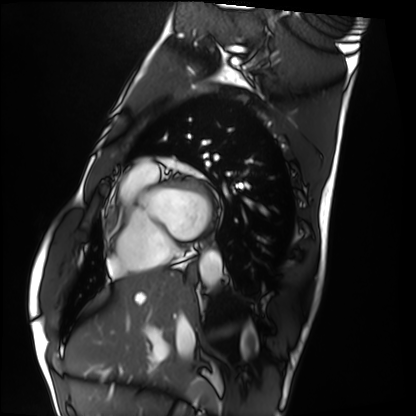
<scan>
<modality>cardiac MRI</modality>
<cohort>healthy volunteer</cohort>
</scan>